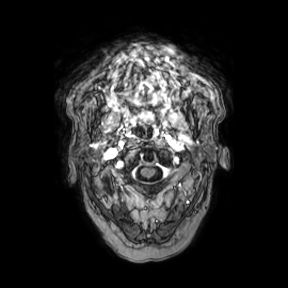
3 Tesla brain MRI. Series: axial. Study: ring-enhancing brain masses.